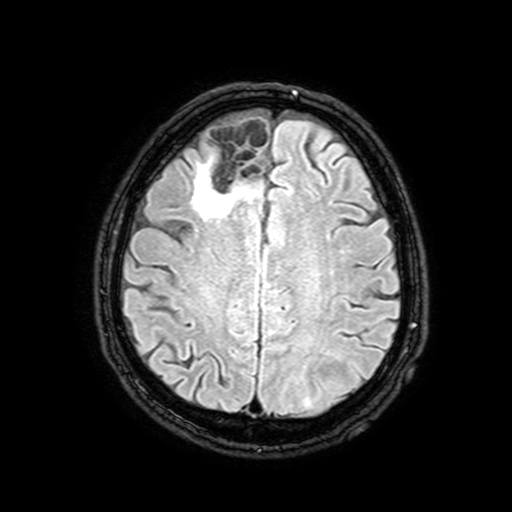
3 Tesla brain MRI. Series: FLAIR with SPAIR, 3 mm. Study: ring-enhancing brain masses.